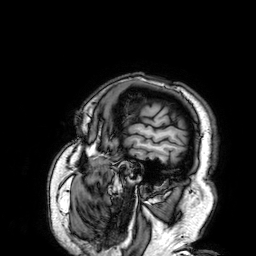
Clinical context:
3 Tesla brain MRI. Series: 3D T1-weighted. Study: ring-enhancing brain masses.